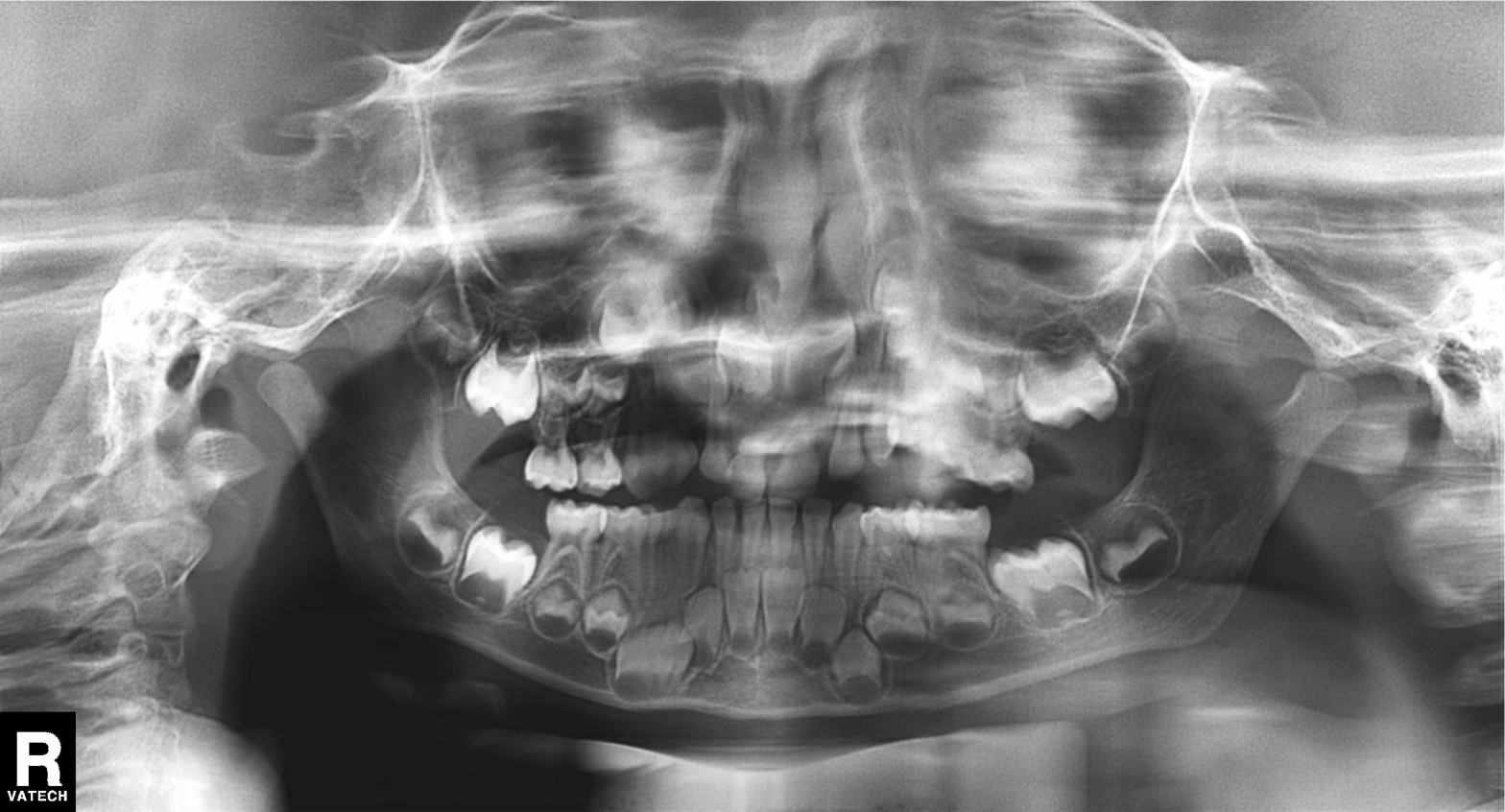
modality — panoramic dental radiograph (orthopantomogram); finding — alveolar bone loss.